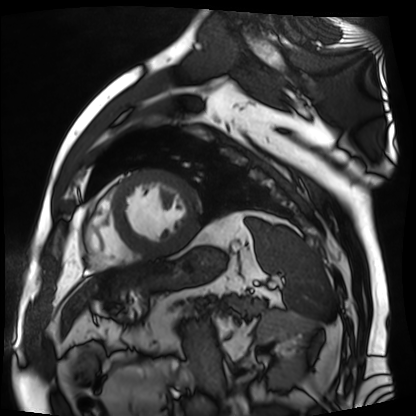
modality = cardiac MR image of the myocardium
subject cohort = cardiac patient